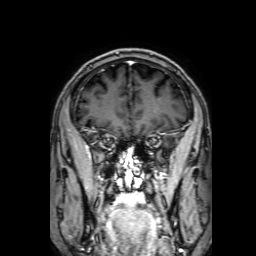
<record>
  <modality>
    <type>brain MRI</type>
    <field_strength>3T</field_strength>
  </modality>
  <series>3D T1-weighted with SENSE</series>
  <study_topic>ring-enhancing brain masses</study_topic>
</record>